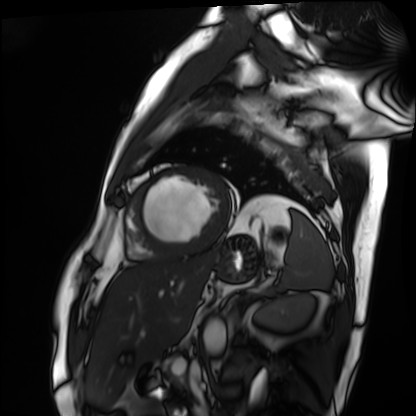
Cardiac MRI.
Subject group: patient.